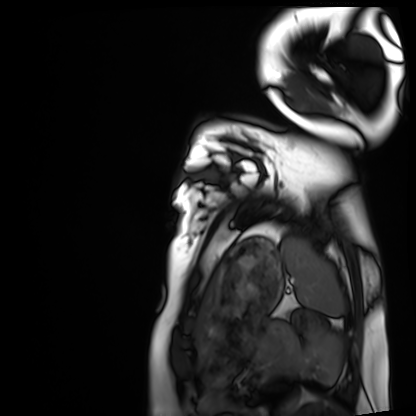
Cardiac MRI. Subject group: healthy volunteer.